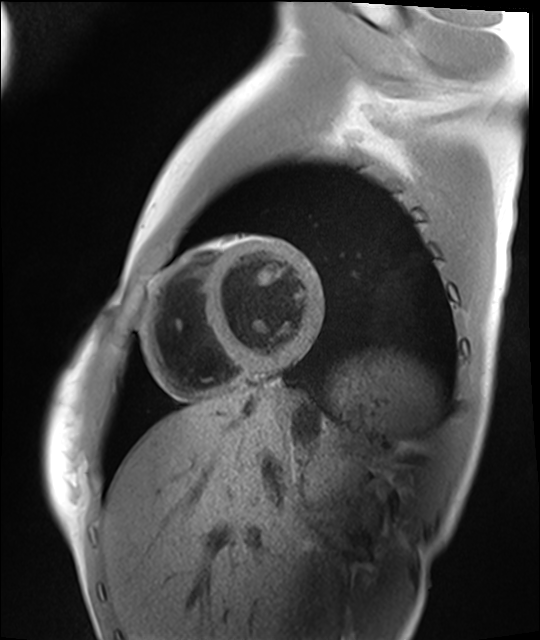
modality — cardiac MRI; subject group — healthy volunteer.